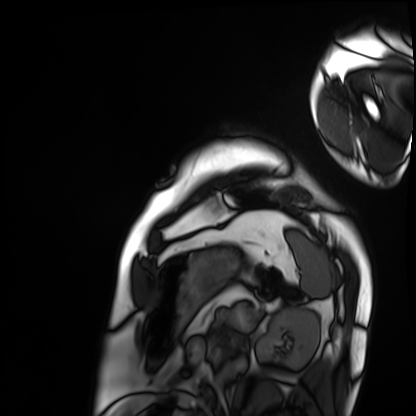
Q: What kind of scan is this?
A: Cardiac MRI.
Subject group: patient.